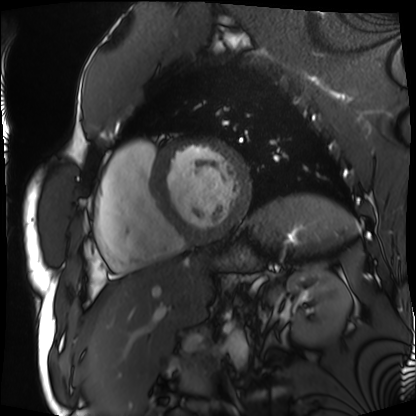
* modality — cardiac MRI
* subject group — patient